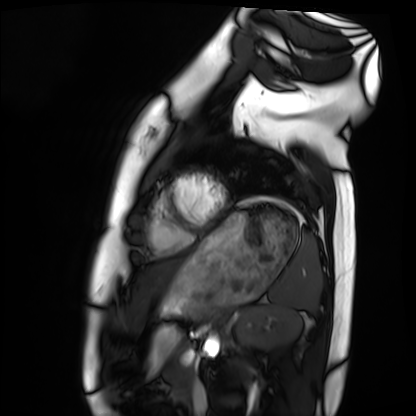
<scan>
<modality>cardiac MRI</modality>
<cohort>healthy volunteer</cohort>
</scan>